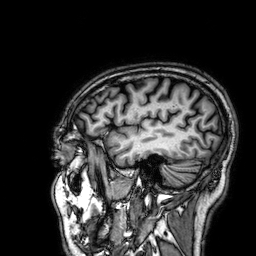
modality=3 Tesla brain MRI; series=3D T1-weighted; study=ring-enhancing brain masses.